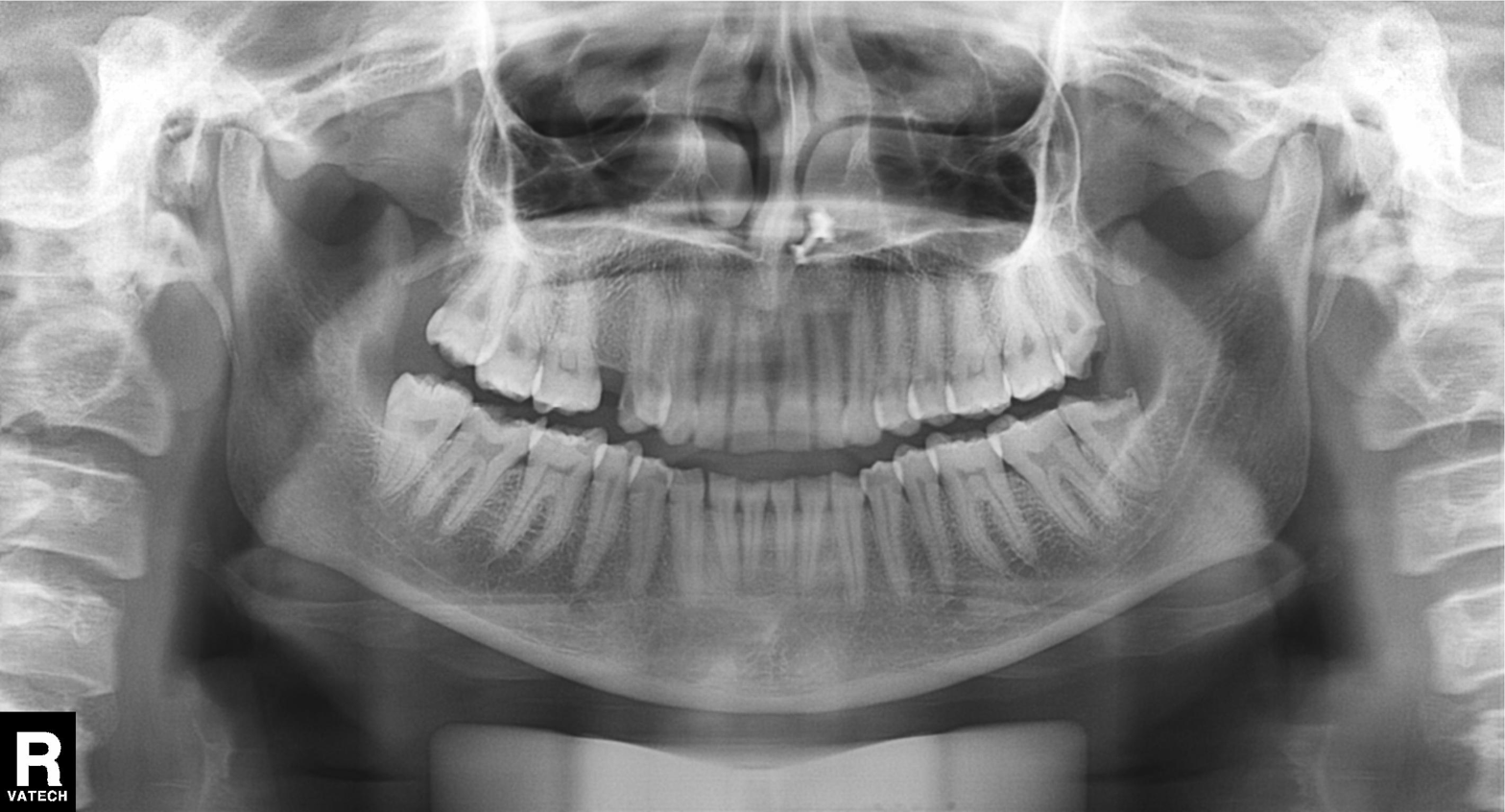
Panoramic dental radiograph (orthopantomogram). Finding: tooth impaction.